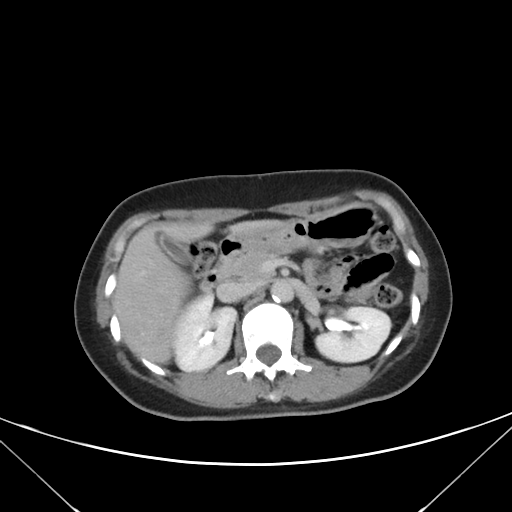
modality: multiphase abdominal CT, liver, delayed phase | patient: female, age 45 | history: prior chemotherapy.